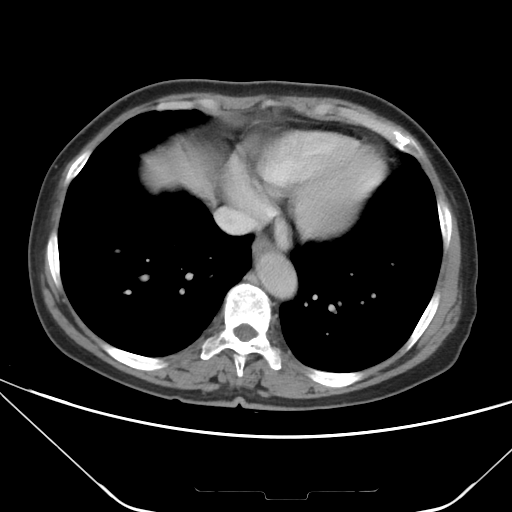
<study>
<modality>
  <type>multiphase abdominal CT</type>
  <region>liver</region>
  <phase>portal venous</phase>
</modality>
<patient>
  <sex>female</sex>
  <age>67</age>
</patient>
</study>